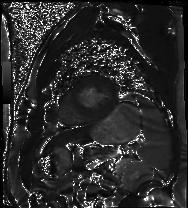
modality: cardiac MR image of the myocardium; subject cohort: cardiac patient.